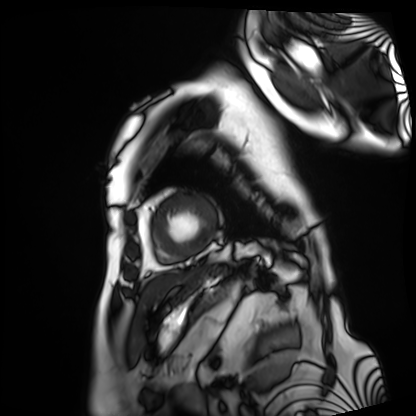
  modality: cardiac MRI
  cohort: patient